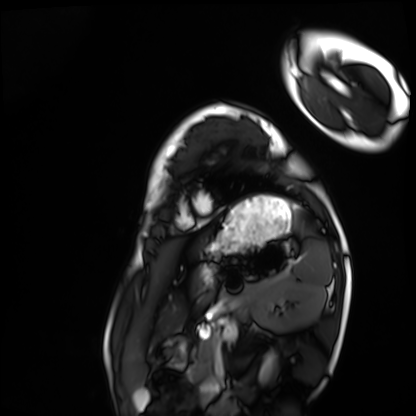
Cardiac MRI. Subject group: healthy volunteer.